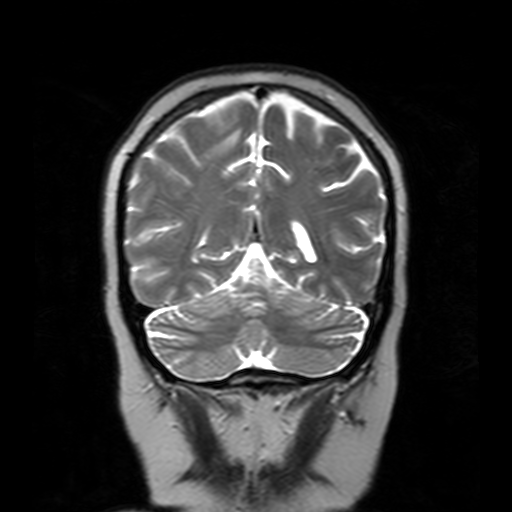
– modality: 3 Tesla brain MRI
– series: T2-weighted turbo spin echo with SENSE
– study: ring-enhancing brain masses